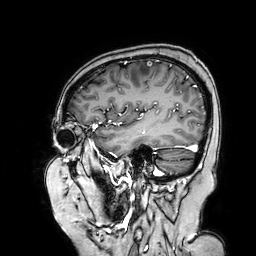
modality=3 Tesla brain MRI
series=3D T1-weighted turbo field echo with SENSE
study=ring-enhancing brain masses